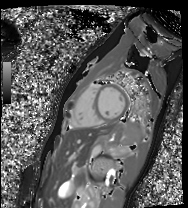
Summary: Cardiac MR image of the myocardium. Subject cohort: healthy volunteer.